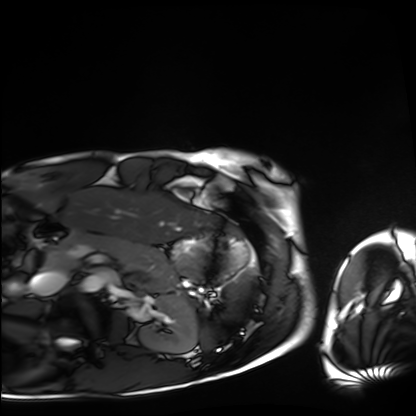
modality=cardiac MRI | subject group=healthy volunteer.